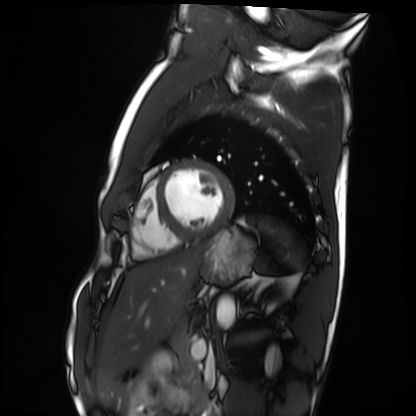
<record>
<modality>cardiac MRI</modality>
<cohort>healthy volunteer</cohort>
</record>